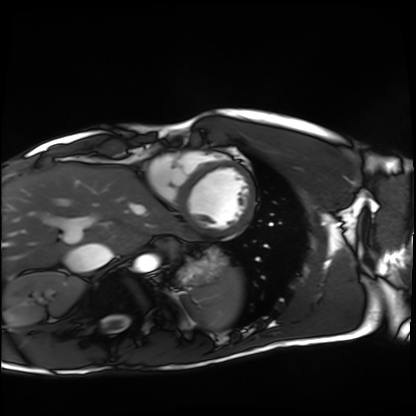
Cardiac MRI. Subject group: healthy volunteer.